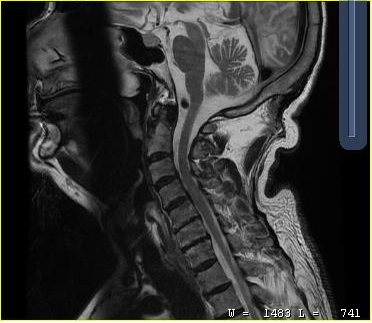
Case summary: MRI of the cervical spine. Study: cervical spondylosis.